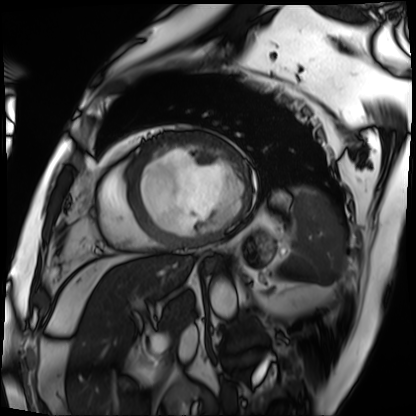
modality = cardiac MRI
subject group = patient